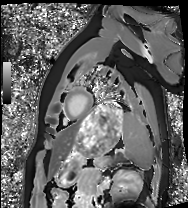
modality = cardiac MRI; subject group = healthy volunteer.